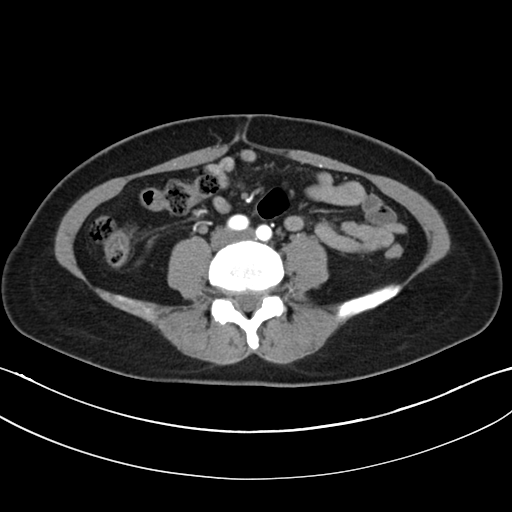
Case summary: Multiphase abdominal CT, liver, arterial phase. Patient: female, age 30.